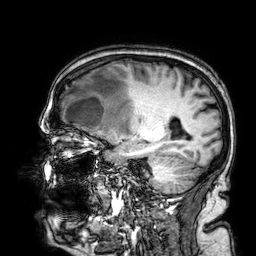
3 Tesla brain MRI. Series: 3D T1-weighted. Study: ring-enhancing brain masses.